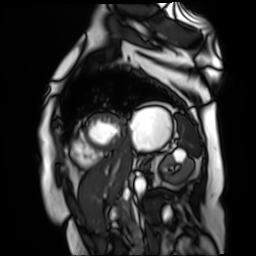
Cardiac MR image of the myocardium. Subject cohort: cardiac patient.